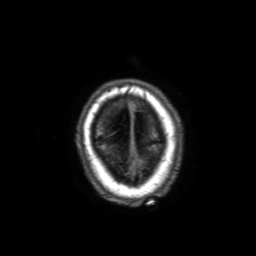
3 Tesla brain MRI.
Series: 3D T1-weighted with SENSE.
Study: ring-enhancing brain masses.